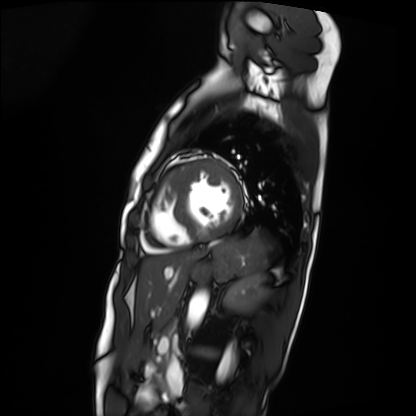
Q: What kind of scan is this?
A: Cardiac MRI.
Subject group: patient.